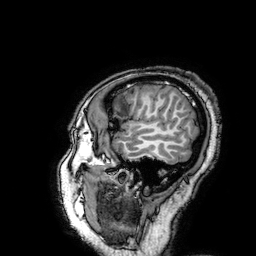
<scan>
  <modality>
    <type>brain MRI</type>
    <field_strength>3T</field_strength>
  </modality>
  <series>3D T1-weighted turbo field echo with SENSE</series>
  <study_topic>ring-enhancing brain masses</study_topic>
</scan>